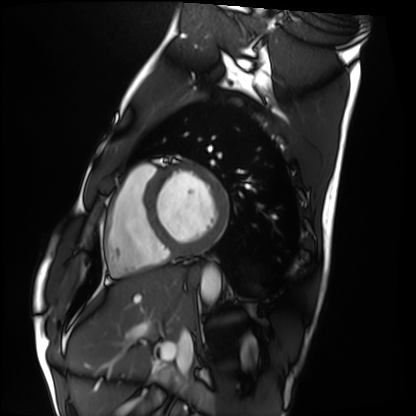
<case>
<modality>cardiac MRI</modality>
<cohort>healthy volunteer</cohort>
</case>